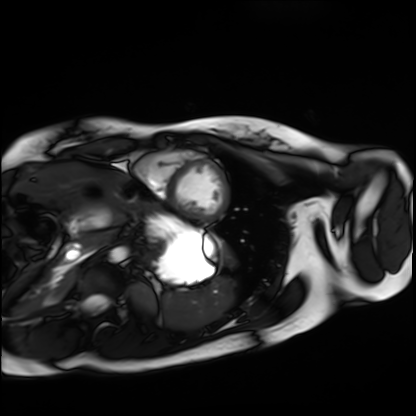
modality: cardiac MRI | subject group: healthy volunteer.